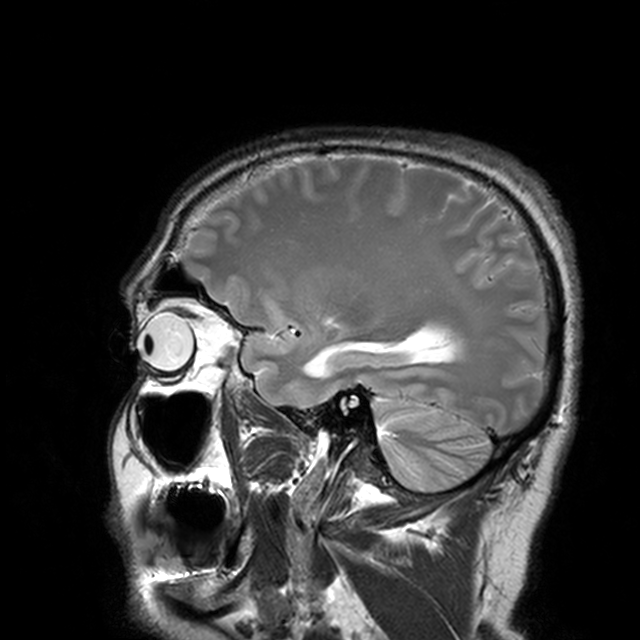
{"modality": {"type": "brain MRI", "field_strength": "3T"}, "series": "T2-weighted turbo spin echo with CLEAR", "study_topic": "ring-enhancing brain masses"}